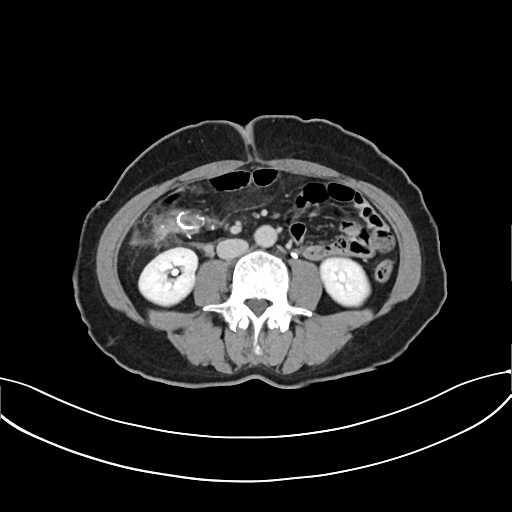
Multiphase abdominal CT, liver, delayed phase. Patient: female, age 59.